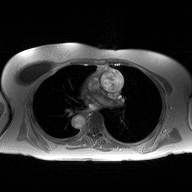
Q: What kind of scan is this?
A: 2D phase-contrast cine MRI of the ascending aorta.